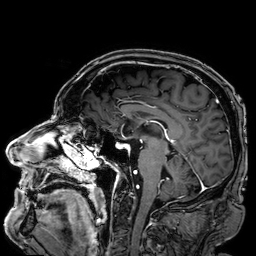
3 Tesla brain MRI. Series: 3D T1-weighted. Study: ring-enhancing brain masses.